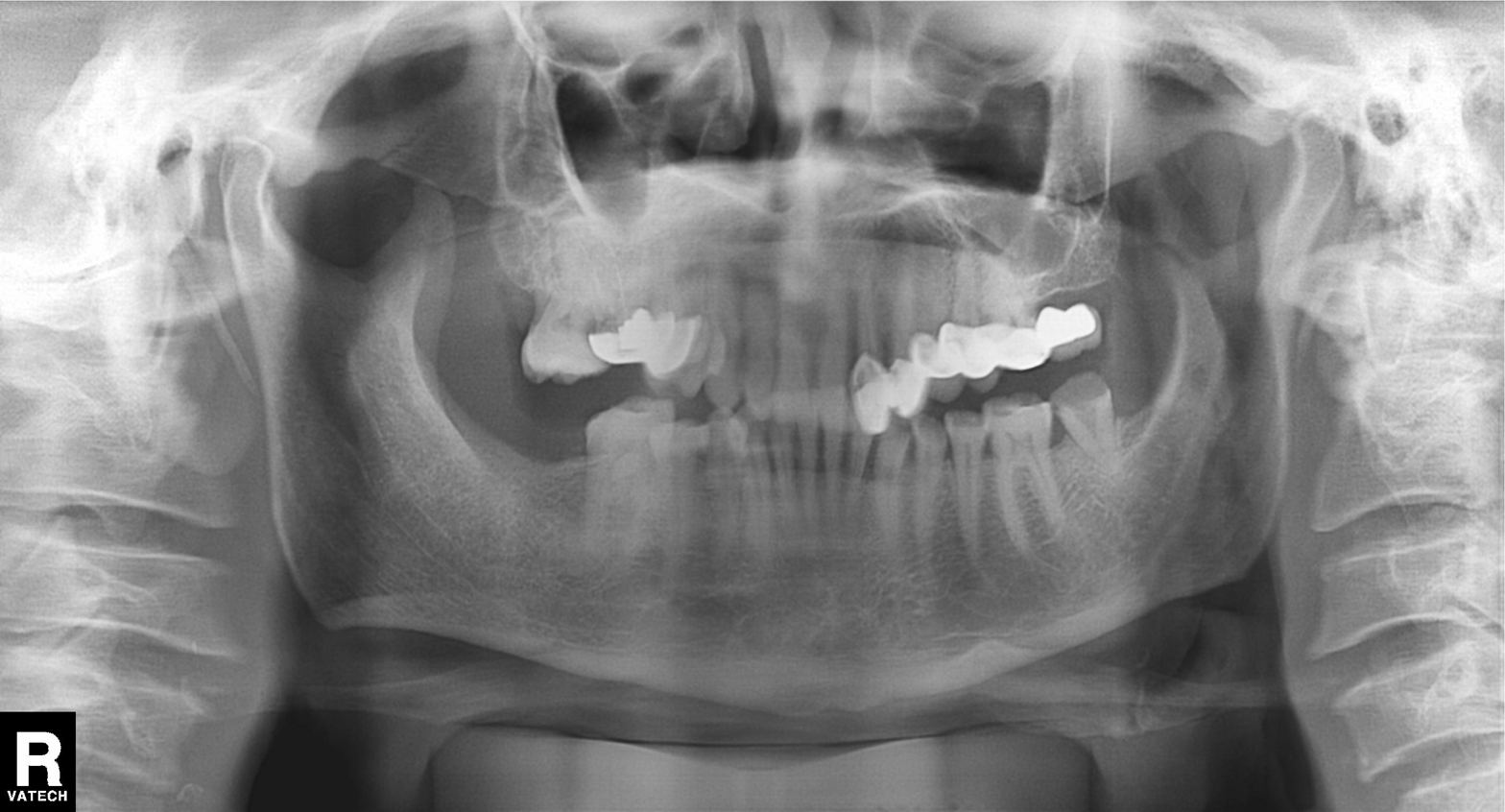
Summary: Panoramic dental radiograph (orthopantomogram).
Conclusion: Dental caries (cavities).